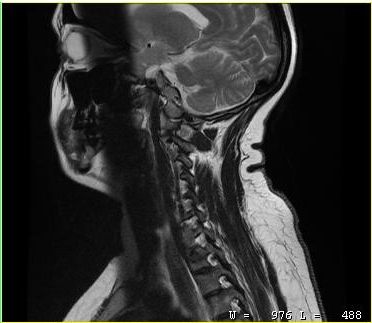
| field | value |
|---|---|
| modality | MRI of the cervical spine |
| study | cervical spondylosis |